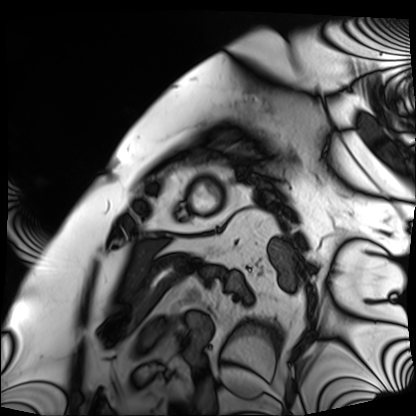
Cardiac MRI. Subject group: patient.